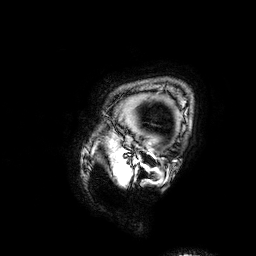
modality = 3 Tesla brain MRI
series = 3D T1-weighted
study = ring-enhancing brain masses